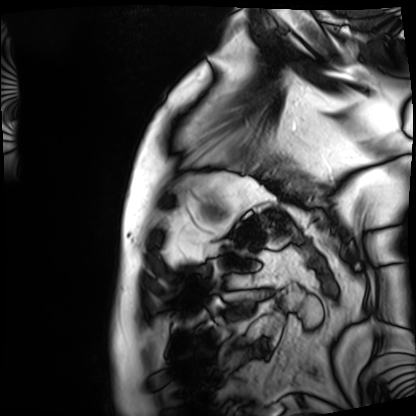
Case:
• modality — cardiac MRI
• subject group — patient